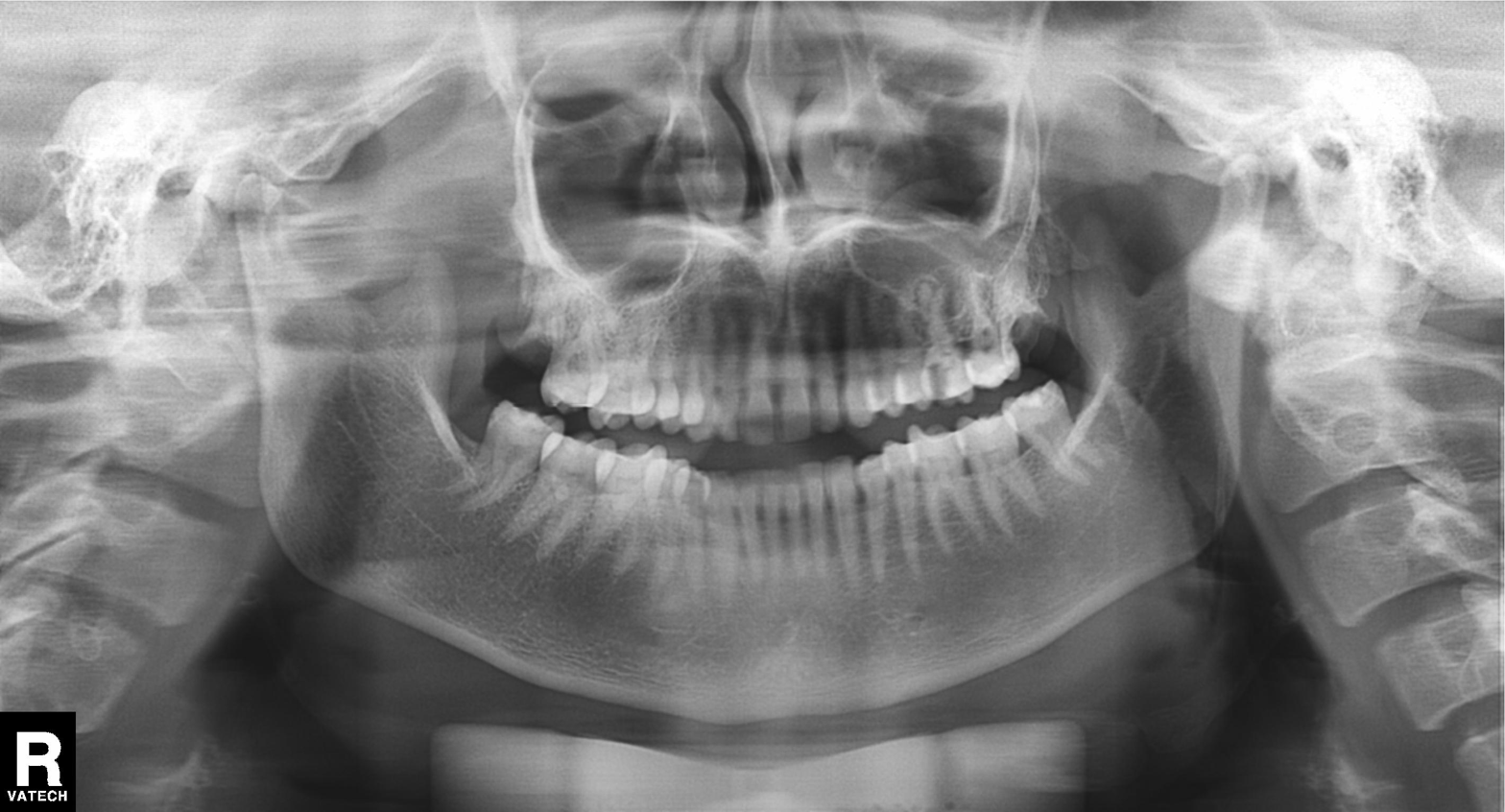
<scan>
  <modality>panoramic dental radiograph (orthopantomogram)</modality>
  <finding>dental caries (cavities)</finding>
</scan>